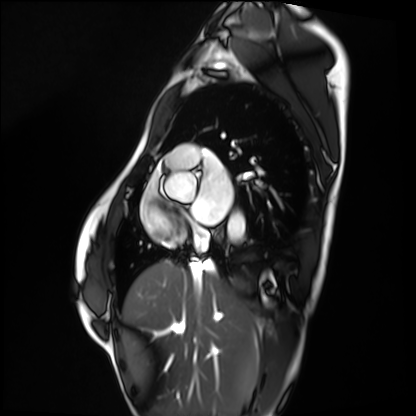
modality: cardiac MRI | subject group: healthy volunteer.